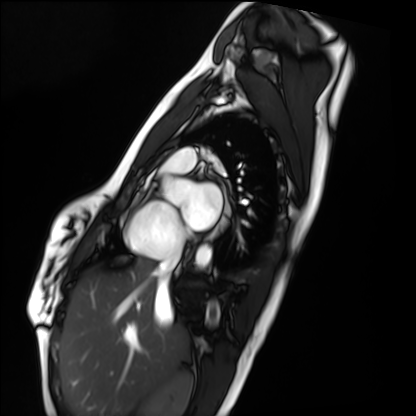
• modality: cardiac MRI
• subject group: healthy volunteer